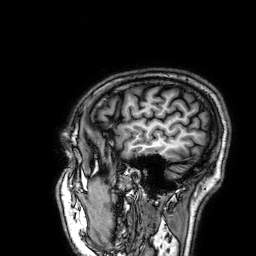
Summary: 3 Tesla brain MRI. Series: 3D T1-weighted. Study: ring-enhancing brain masses.